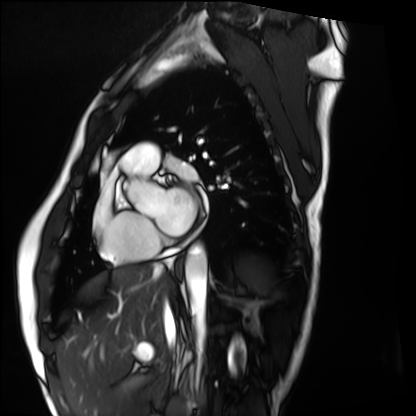
{"modality": "cardiac MRI", "cohort": "healthy volunteer"}